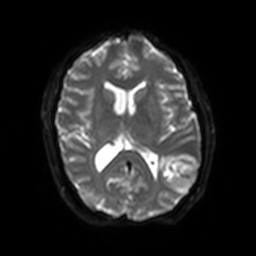
modality — 3 Tesla brain MRI; series — diffusion-weighted imaging with SENSE (WIP); study — ring-enhancing brain masses.